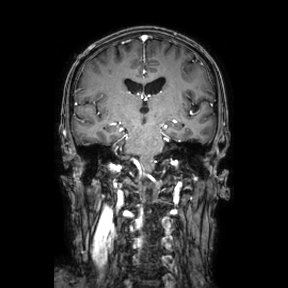
Q: What kind of scan is this?
A: 3 Tesla brain MRI.
Q: Series?
A: Coronal.
Study: ring-enhancing brain masses.